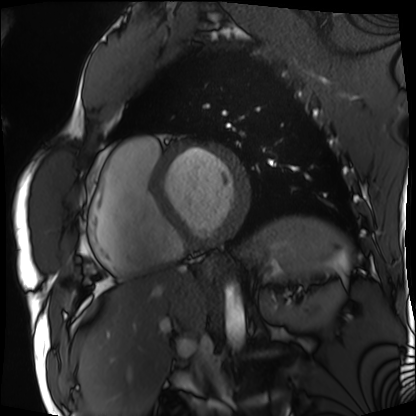
Cardiac MRI. Subject group: patient.